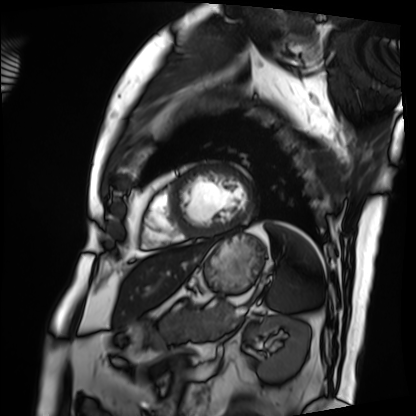
  modality: cardiac MRI
  cohort: patient